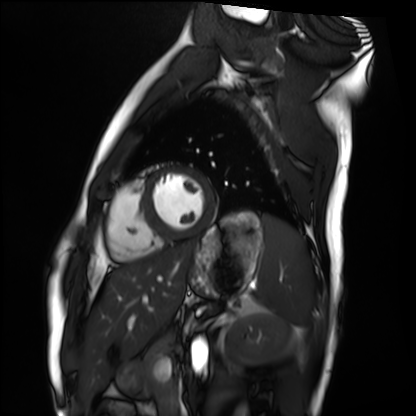
{"modality": "cardiac MRI", "cohort": "healthy volunteer"}